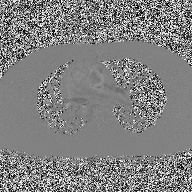
Case summary:
2D phase-contrast cine MRI of the ascending aorta, high-resolution GRAPPA acquisition.